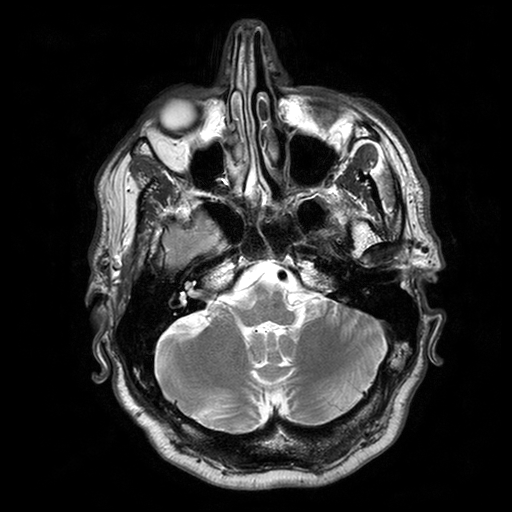
modality = 3 Tesla brain MRI | series = T2-weighted turbo spin echo with SENSE | study = ring-enhancing brain masses.